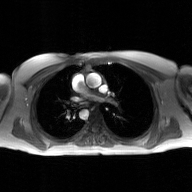
modality: 2D phase-contrast cine MRI of the ascending aorta, GAN super-resolution reconstruction.